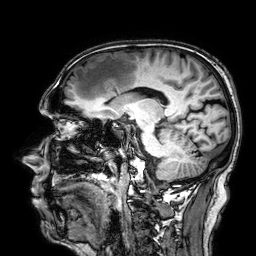
3 Tesla brain MRI. Series: 3D T1-weighted. Study: ring-enhancing brain masses.